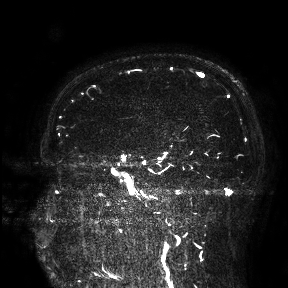
modality — 3 Tesla brain MRI
study — ring-enhancing brain masses